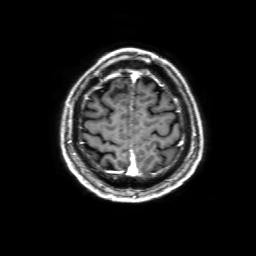
3 Tesla brain MRI. Series: 3D T1-weighted with SENSE. Study: ring-enhancing brain masses.